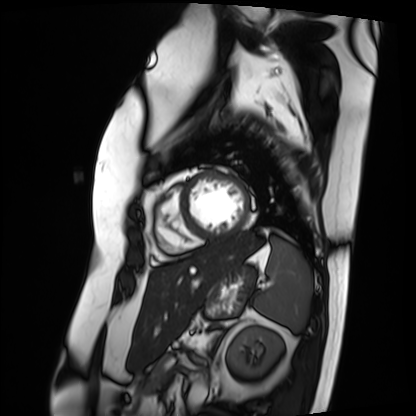
modality = cardiac MRI
subject group = patient